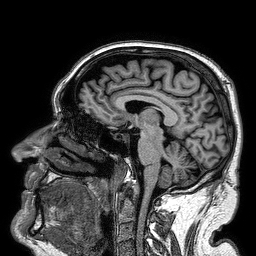
Summary:
3 Tesla brain MRI. Series: 3D T1-weighted turbo field echo. Study: ring-enhancing brain masses.